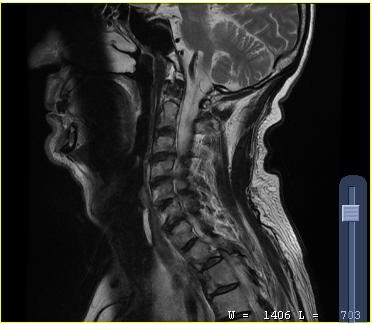
Q: What kind of scan is this?
A: MRI of the cervical spine.
Study: cervical spondylosis.